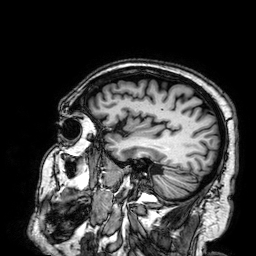
Clinical context:
3 Tesla brain MRI. Series: 3D T1-weighted. Study: ring-enhancing brain masses.